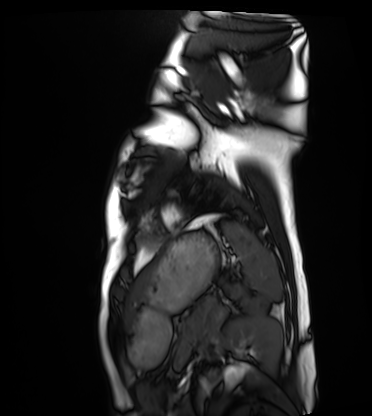
modality: cardiac MRI
subject group: healthy volunteer